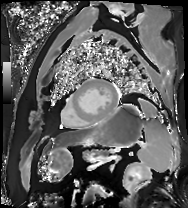
Summary: Cardiac MR image of the myocardium. Subject cohort: cardiac patient.